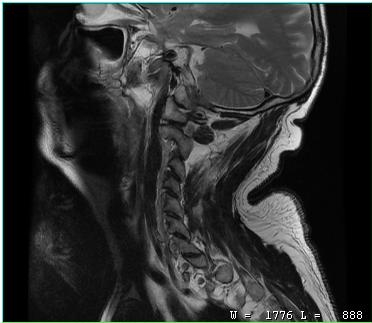
- modality: MRI of the cervical spine
- study: cervical spondylosis